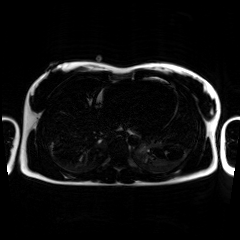
Chemical-shift-encoded cardiac MRI.